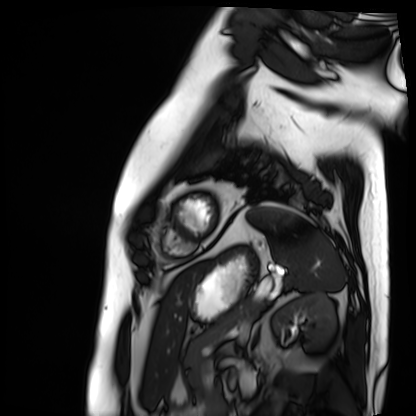
Q: What kind of scan is this?
A: Cardiac MRI.
Subject group: patient.